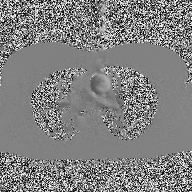
modality=2D phase-contrast cine MRI of the ascending aorta.